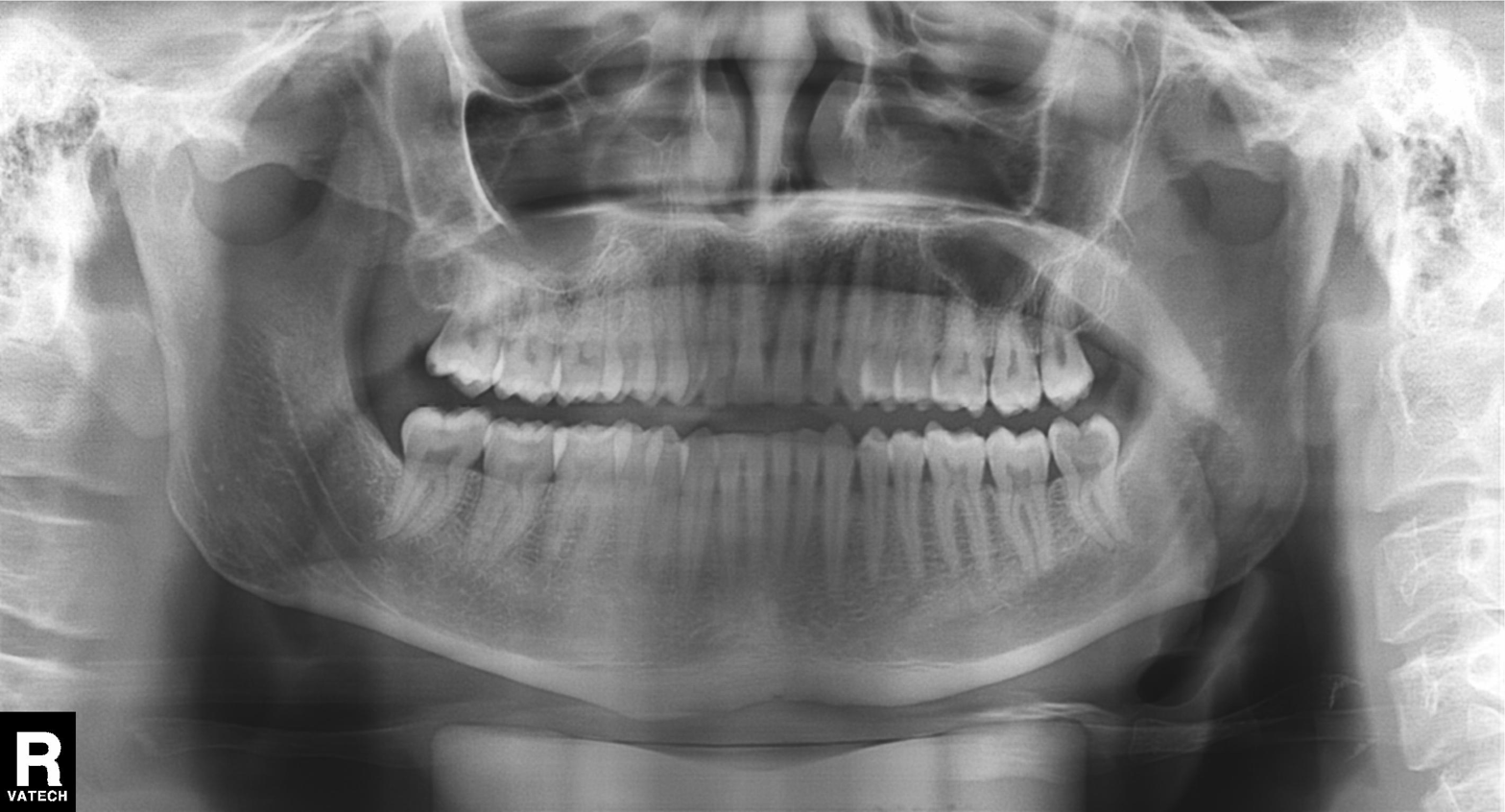
Panoramic dental radiograph (orthopantomogram). Finding: alveolar bone loss.